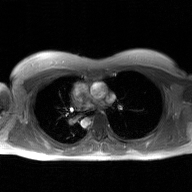
Case summary:
2D phase-contrast cine MRI of the ascending aorta, GAN super-resolution reconstruction.